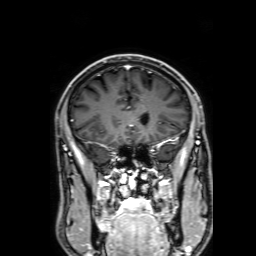
Case summary:
3 Tesla brain MRI. Series: 3D T1-weighted with SENSE. Study: ring-enhancing brain masses.